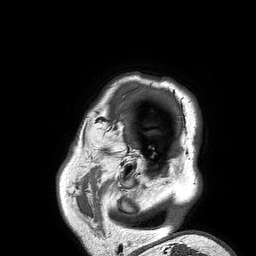
Q: What kind of scan is this?
A: 3 Tesla brain MRI.
Study: ring-enhancing brain masses.